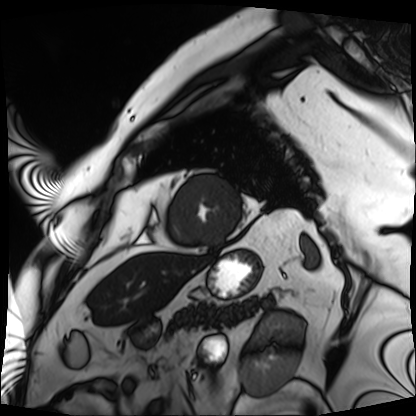
Summary:
Cardiac MRI. Subject group: patient.